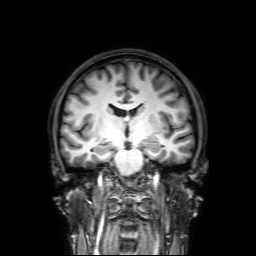
3 Tesla brain MRI. Series: 3D T1-weighted with SENSE. Study: ring-enhancing brain masses.